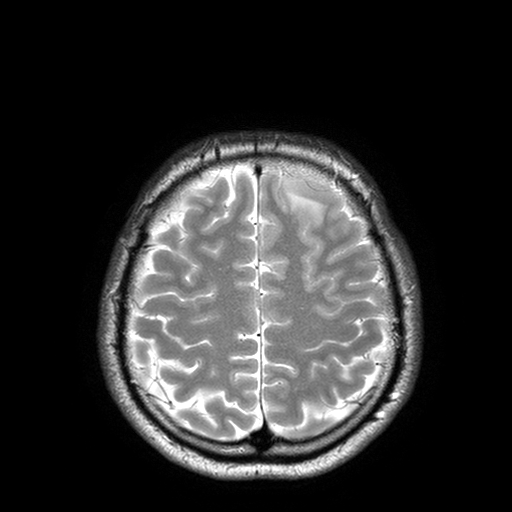
Clinical context: 3 Tesla brain MRI. Series: T2-weighted turbo spin echo with SENSE. Study: ring-enhancing brain masses.